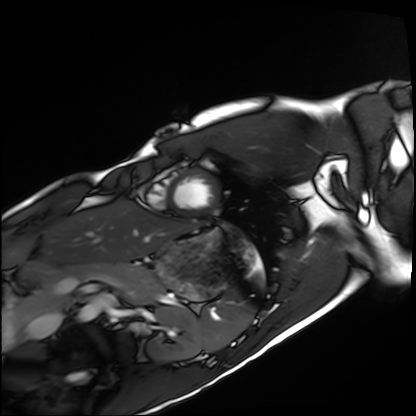
Cardiac MRI. Subject group: healthy volunteer.